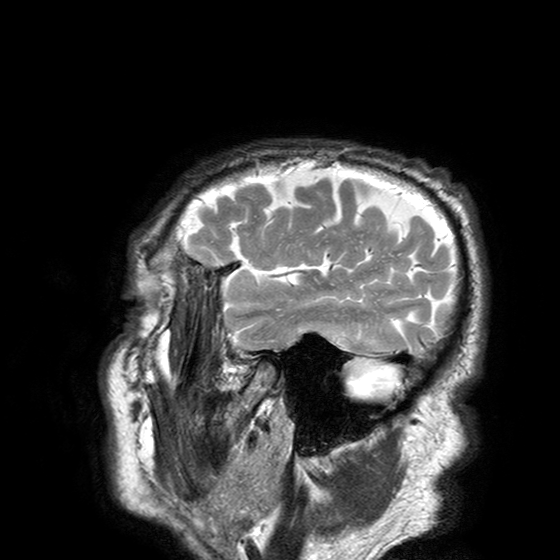
  modality:
    type: brain MRI
    field_strength: 3T
  series: T2-weighted turbo spin echo with SENSE
  study_topic: ring-enhancing brain masses